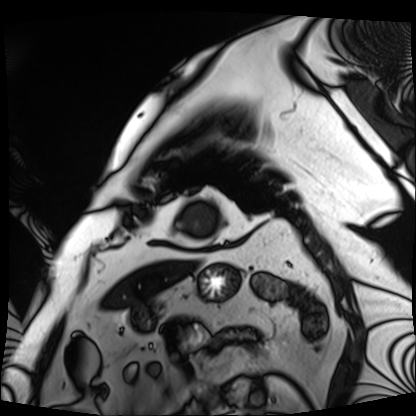
Cardiac MRI. Subject group: patient.